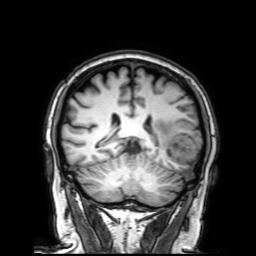
Q: What kind of scan is this?
A: 3 Tesla brain MRI.
Q: Series?
A: 3D T1-weighted with SENSE.
Study: ring-enhancing brain masses.